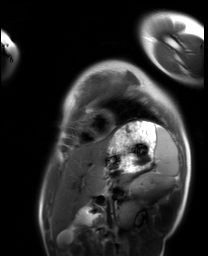
  modality: cardiac MRI
  cohort: healthy volunteer